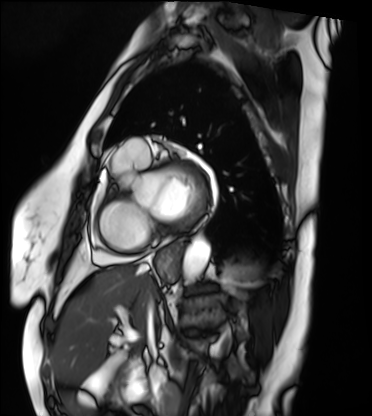
Clinical context: Cardiac MRI. Subject group: patient.